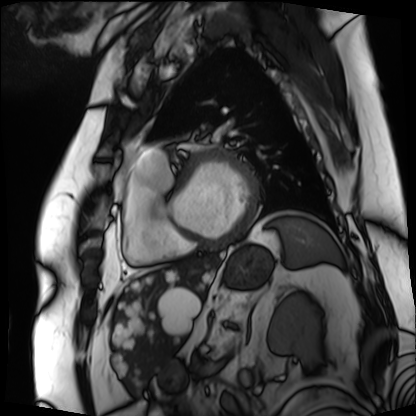
<study>
<modality>cardiac MRI</modality>
<cohort>patient</cohort>
</study>